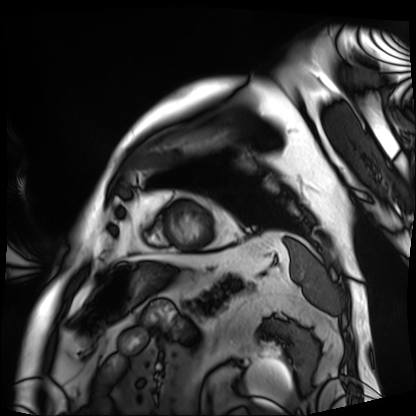
Cardiac MRI. Subject group: patient.